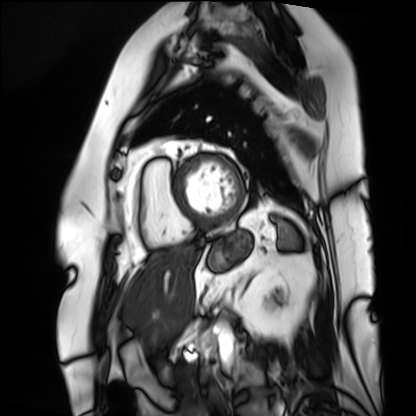
modality: cardiac MRI; subject group: patient.